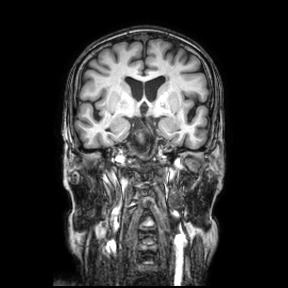
Clinical context: 3 Tesla brain MRI. Series: coronal. Study: ring-enhancing brain masses.